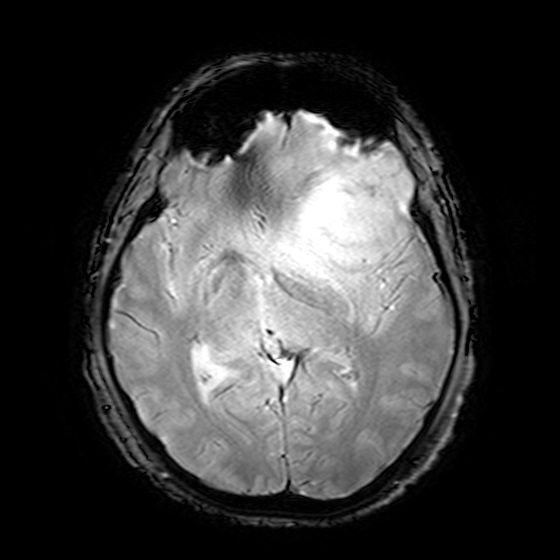
• modality · 3 Tesla brain MRI
• series · T2-weighted fast field echo
• study · ring-enhancing brain masses